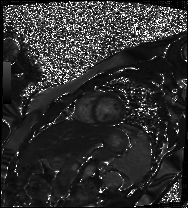
modality: cardiac MR image of the myocardium
subject cohort: healthy volunteer